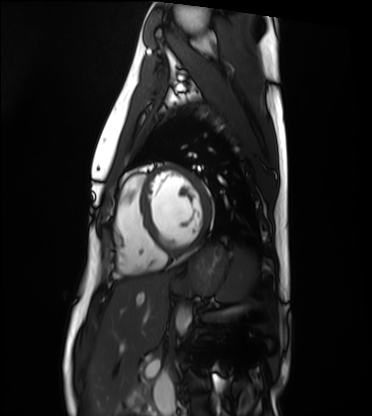
Summary: Cardiac MRI. Subject group: healthy volunteer.